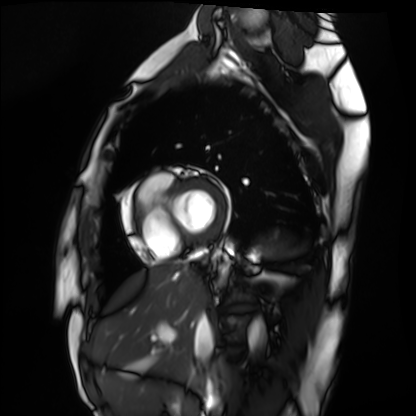
Summary:
Cardiac MRI. Subject group: healthy volunteer.